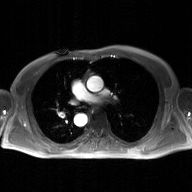
Case:
• modality · 2D phase-contrast cine MRI of the ascending aorta, GAN super-resolution reconstruction